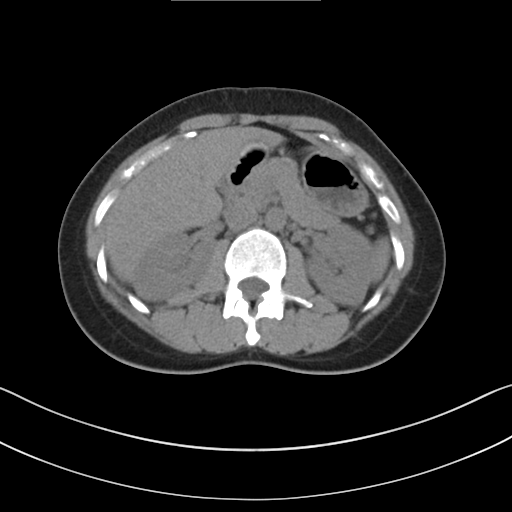
  modality:
    type: multiphase abdominal CT
    region: liver
    phase: non-contrast
  patient:
    sex: female
    age: 34